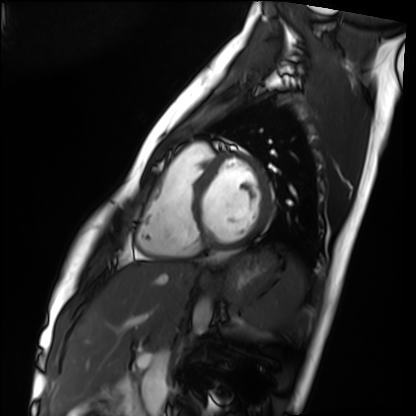
Cardiac MRI. Subject group: healthy volunteer.